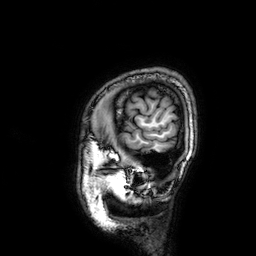
modality: 3 Tesla brain MRI; series: 3D T1-weighted; study: ring-enhancing brain masses.